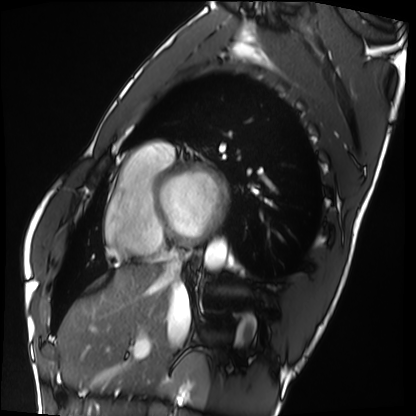
modality = cardiac MRI, subject group = healthy volunteer.